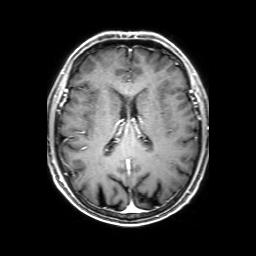
3 Tesla brain MRI. Series: 3D T1-weighted with SENSE. Study: ring-enhancing brain masses.